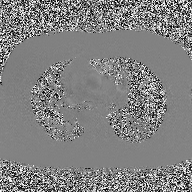
Case:
• modality · 2D phase-contrast cine MRI of the ascending aorta